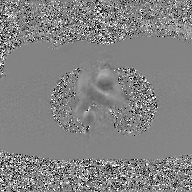
{"modality": {"type": "2D phase-contrast cine MRI", "region": "ascending aorta", "reconstruction": "GAN super-resolution reconstruction"}}